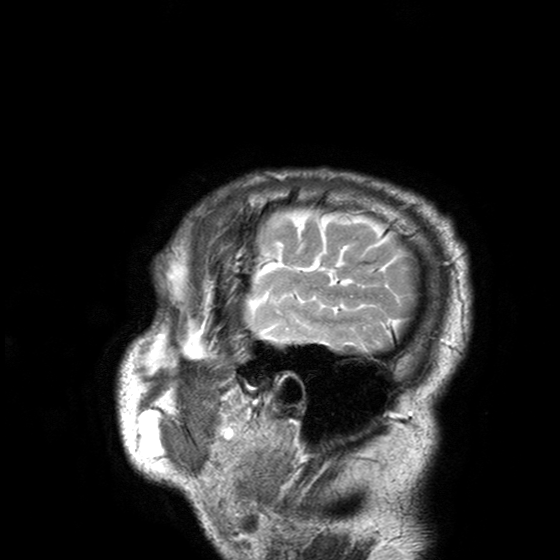
3 Tesla brain MRI. Series: T2-weighted turbo spin echo with SENSE. Study: ring-enhancing brain masses.